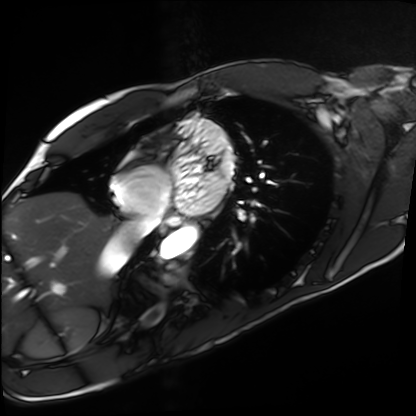
Cardiac MRI.
Subject group: healthy volunteer.